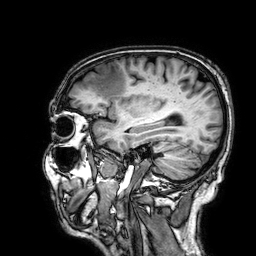
{"modality": {"type": "brain MRI", "field_strength": "3T"}, "series": "3D T1-weighted", "study_topic": "ring-enhancing brain masses"}